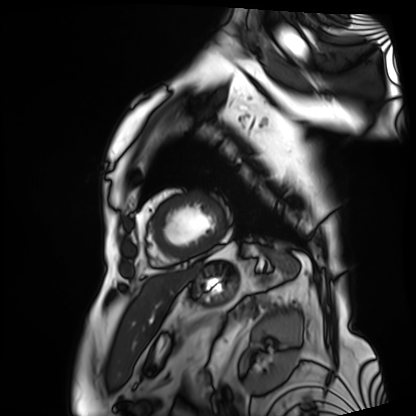
Cardiac MRI. Subject group: patient.